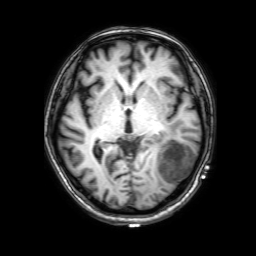
Clinical context: 3 Tesla brain MRI. Series: 3D T1-weighted with SENSE. Study: ring-enhancing brain masses.